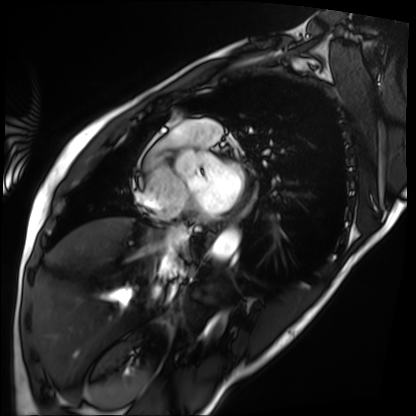
<study>
  <modality>cardiac MRI</modality>
  <cohort>patient</cohort>
</study>